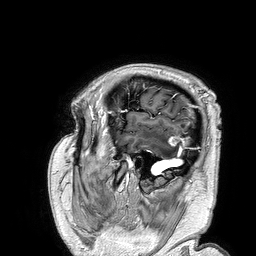
3 Tesla brain MRI. Series: 3D T1-weighted turbo field echo. Study: ring-enhancing brain masses.